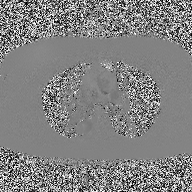
modality — 2D phase-contrast cine MRI of the ascending aorta